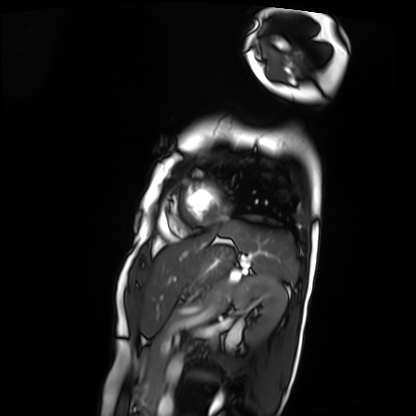
Summary:
Cardiac MRI. Subject group: patient.